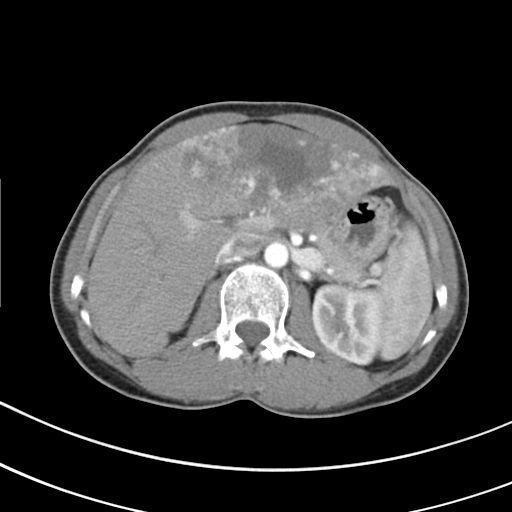
Multiphase abdominal CT, liver, arterial phase.